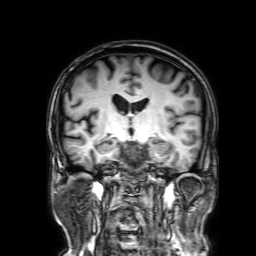
{
  "modality": {
    "type": "brain MRI",
    "field_strength": "3T"
  },
  "series": "3D T1-weighted with SENSE",
  "study_topic": "ring-enhancing brain masses"
}